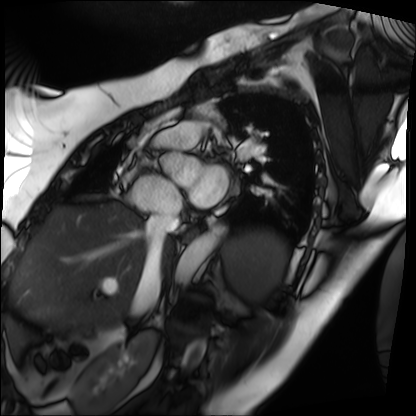
Cardiac MRI. Subject group: patient.